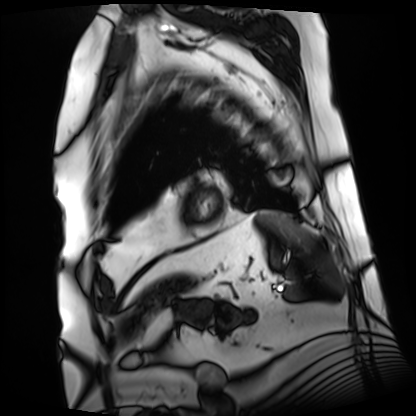
Q: What kind of scan is this?
A: Cardiac MRI.
Subject group: patient.